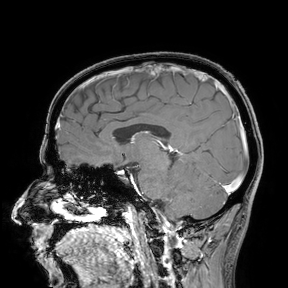
<record>
  <modality>
    <type>brain MRI</type>
    <field_strength>3T</field_strength>
  </modality>
  <study_topic>ring-enhancing brain masses</study_topic>
</record>